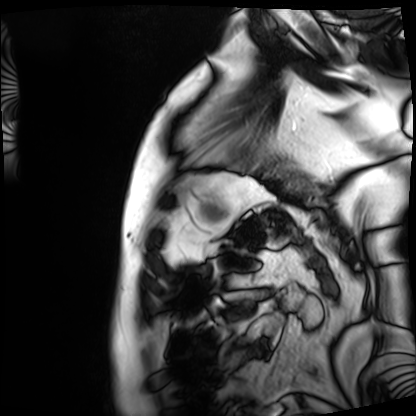
{
  "modality": "cardiac MRI",
  "cohort": "patient"
}